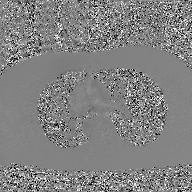
modality = 2D phase-contrast cine MRI of the ascending aorta, GAN super-resolution reconstruction